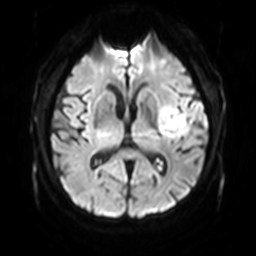
| field | value |
|---|---|
| modality | 3 Tesla brain MRI |
| series | diffusion-weighted imaging with SENSE (WIP) |
| study | ring-enhancing brain masses |